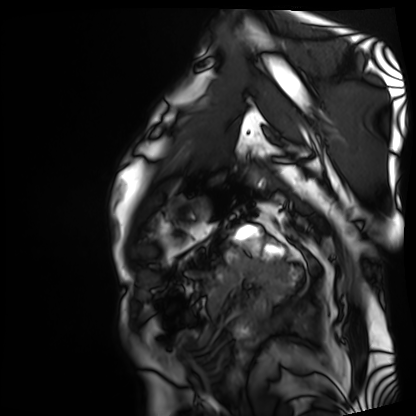
| field | value |
|---|---|
| modality | cardiac MRI |
| subject group | patient |